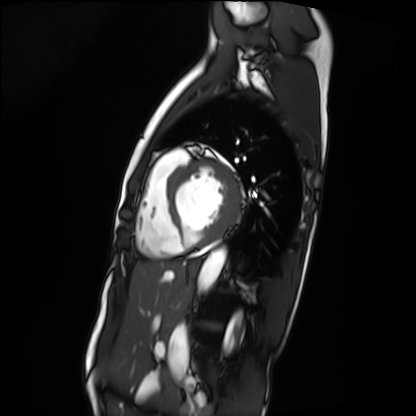
Cardiac MRI. Subject group: patient.